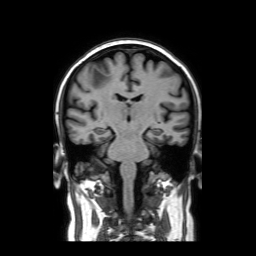
3 Tesla brain MRI.
Series: coronal without contrast.
Study: ring-enhancing brain masses.